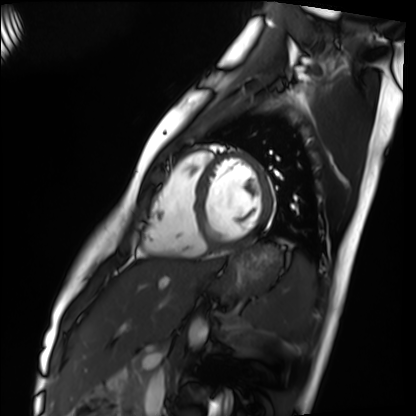
Clinical context:
Cardiac MRI. Subject group: healthy volunteer.